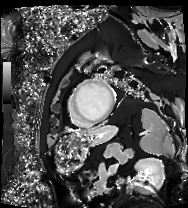
Summary: Cardiac MRI. Subject group: patient.